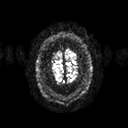
  modality:
    type: brain MRI
    field_strength: 3T
  series: diffusion tensor imaging (medium iso)
  study_topic: ring-enhancing brain masses